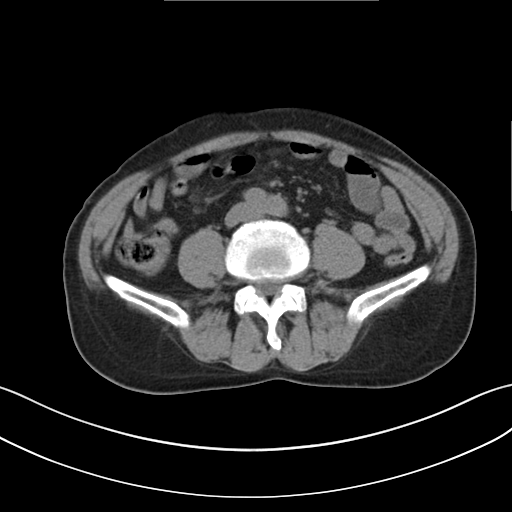
Summary:
Multiphase abdominal CT, liver, non-contrast phase. Patient: male, age 65. History: viral hepatitis.